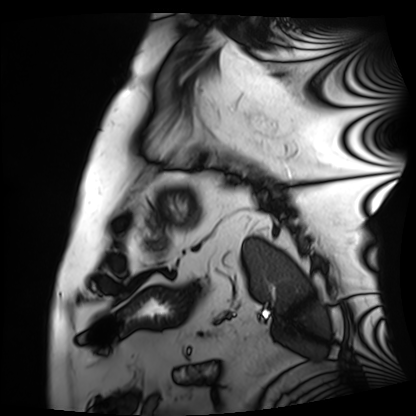
Cardiac MRI.
Subject group: patient.